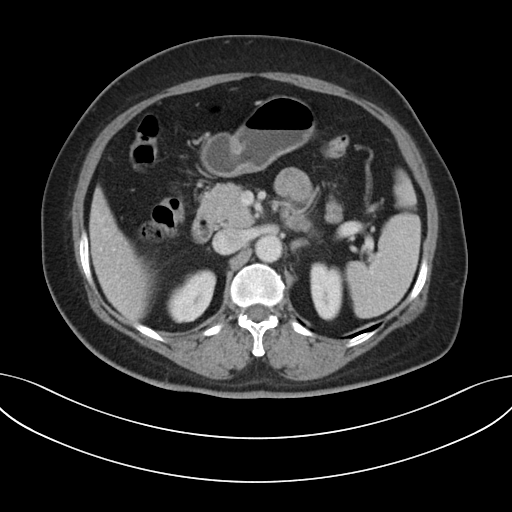
modality: multiphase abdominal CT, liver, portal venous phase | patient: female, age 54 | history: prior chemotherapy.